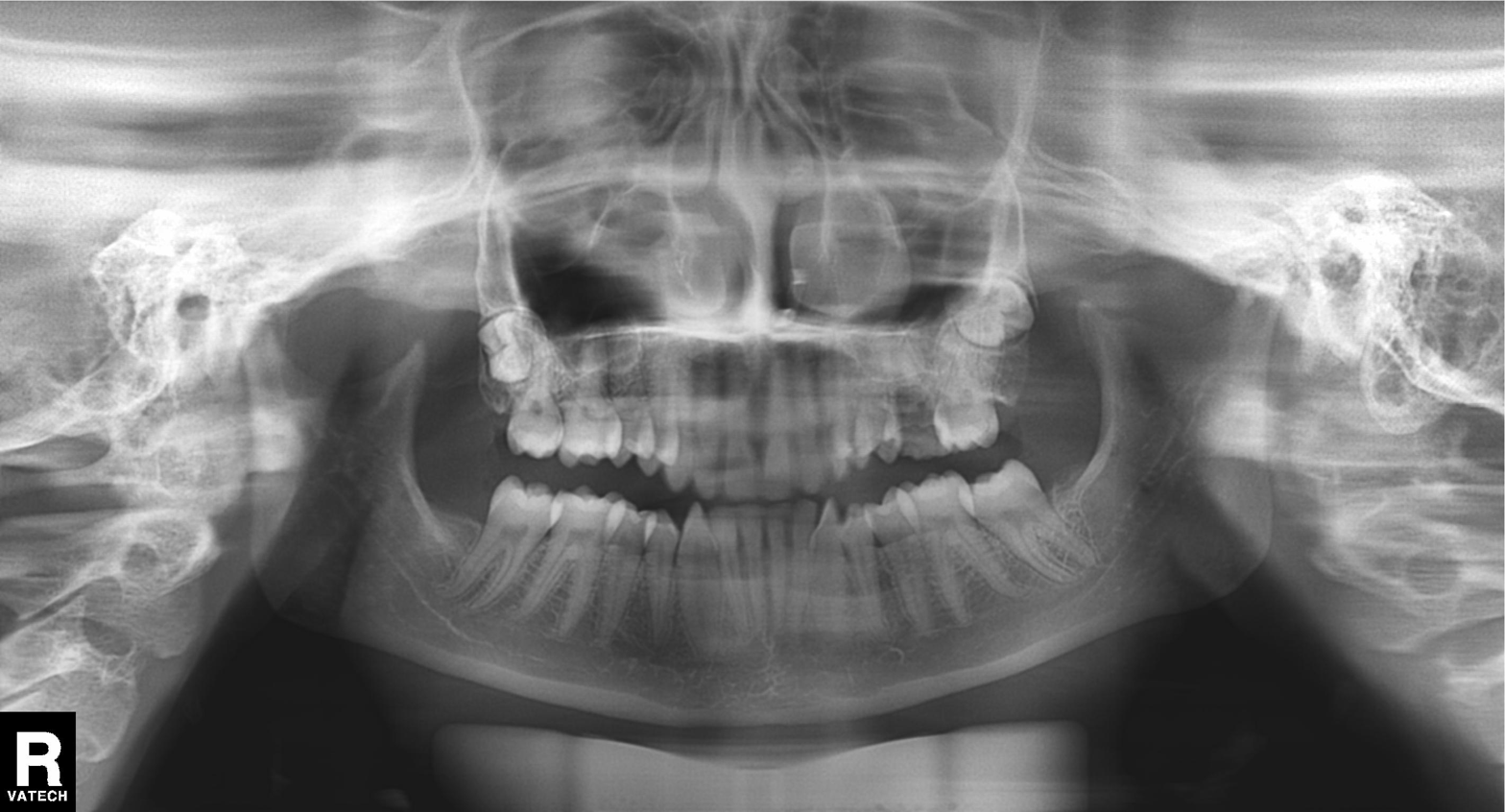
| field | value |
|---|---|
| modality | panoramic dental radiograph (orthopantomogram) |
| finding | tooth impaction |